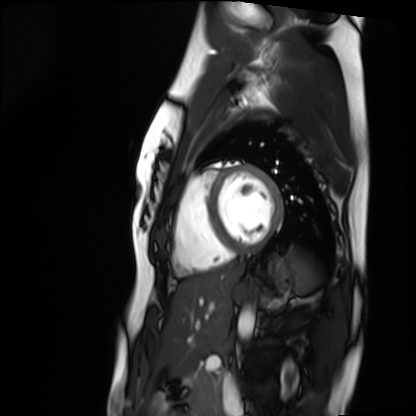
Case:
• modality — cardiac MRI
• subject group — healthy volunteer